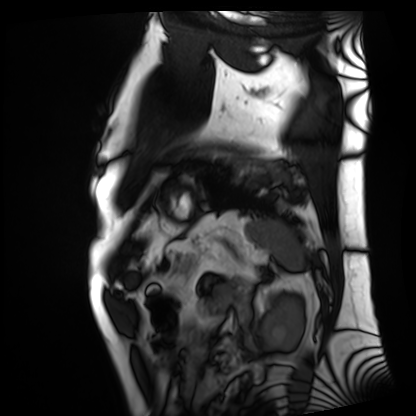
modality = cardiac MRI
subject group = patient